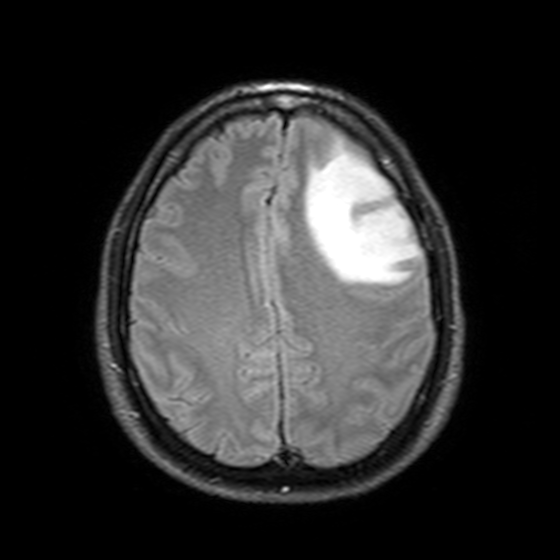
Summary: 3 Tesla brain MRI. Series: T2-weighted FLAIR. Study: ring-enhancing brain masses.